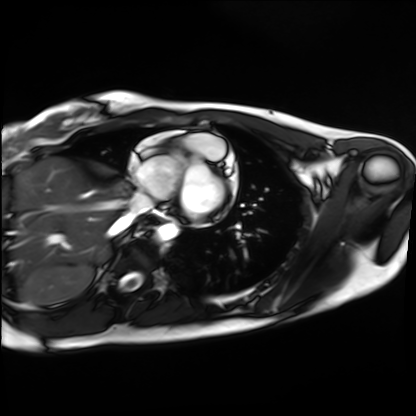
• modality · cardiac MRI
• subject group · healthy volunteer